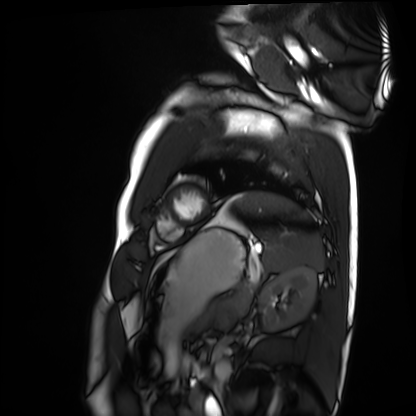
Clinical context: Cardiac MRI. Subject group: healthy volunteer.